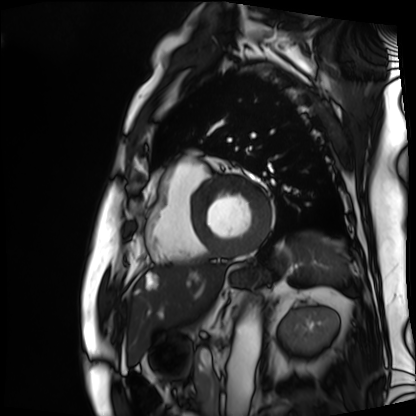
modality — cardiac MRI; subject group — patient.